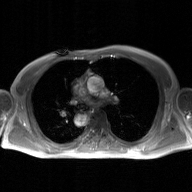
modality — 2D phase-contrast cine MRI of the ascending aorta, GAN super-resolution reconstruction.